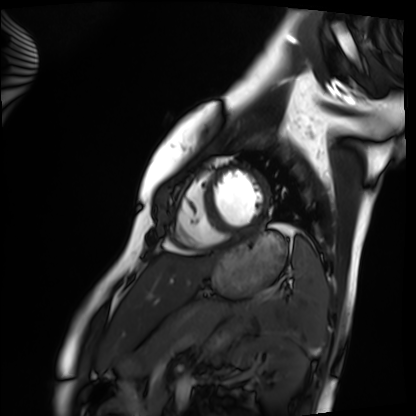
Summary:
Cardiac MRI. Subject group: healthy volunteer.